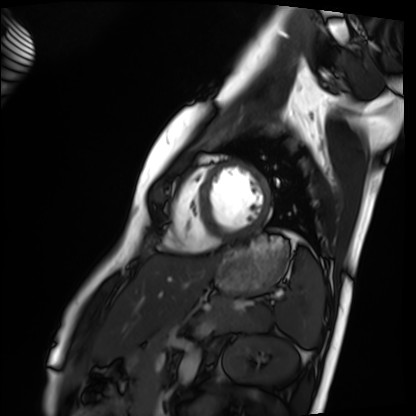
Cardiac MRI.
Subject group: healthy volunteer.